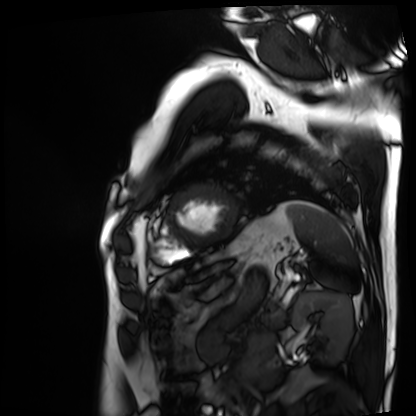
Q: What kind of scan is this?
A: Cardiac MRI.
Subject group: patient.